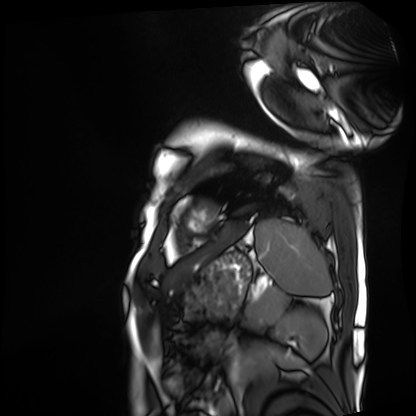
{"modality": "cardiac MRI", "cohort": "patient"}